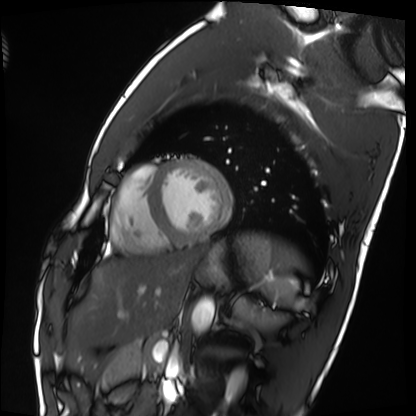
Clinical context:
Cardiac MRI. Subject group: healthy volunteer.